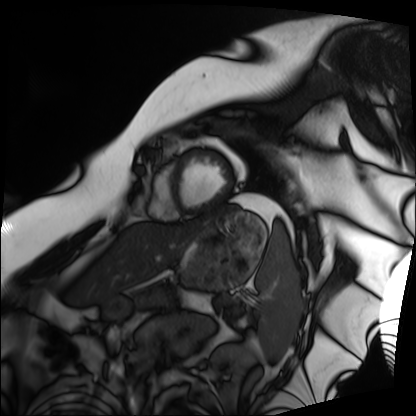
modality = cardiac MRI | subject group = patient.